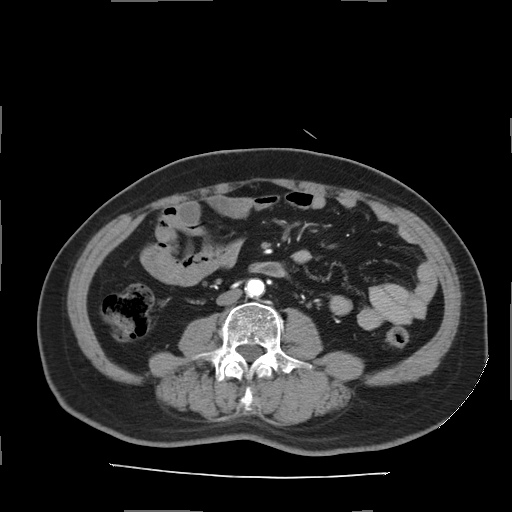
Multiphase abdominal CT, liver, arterial phase.
Patient: male, age 66.